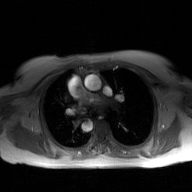
modality — 2D phase-contrast cine MRI of the ascending aorta, GAN super-resolution reconstruction